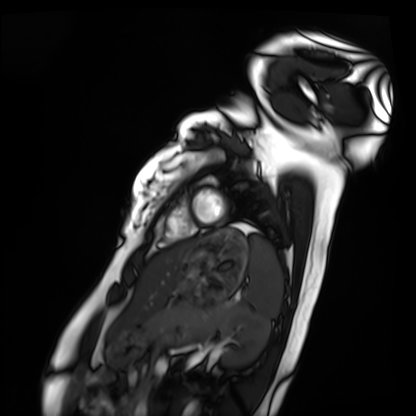
Cardiac MRI. Subject group: healthy volunteer.